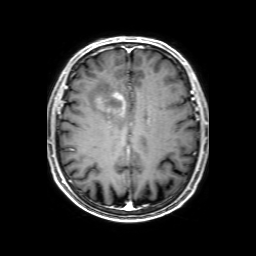
Case:
* modality: 3 Tesla brain MRI
* series: 3D T1-weighted with SENSE
* study: ring-enhancing brain masses